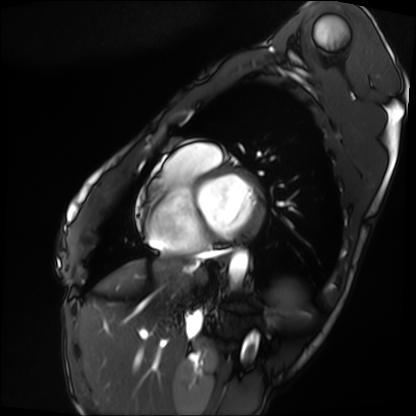
modality = cardiac MRI, subject group = patient.